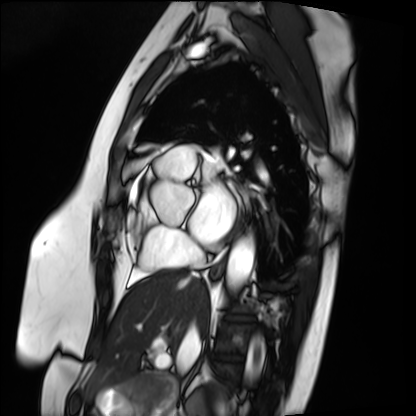
Cardiac MRI. Subject group: patient.